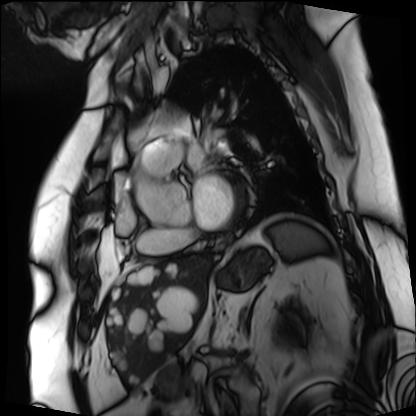
modality — cardiac MRI | subject group — patient.